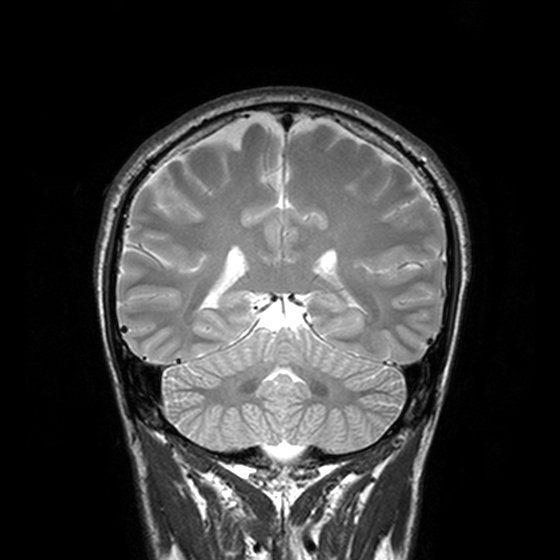
– modality · 3 Tesla brain MRI
– series · T2-weighted turbo spin echo, 3 mm
– study · ring-enhancing brain masses